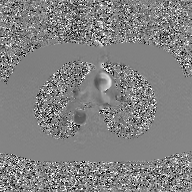
- modality · 2D phase-contrast cine MRI of the ascending aorta, GAN super-resolution reconstruction